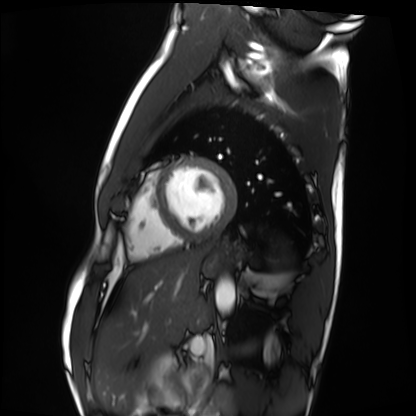
modality = cardiac MRI
subject group = healthy volunteer